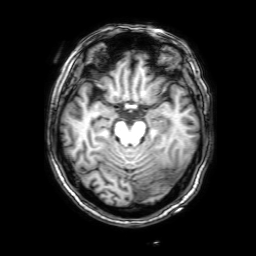
{"modality": {"type": "brain MRI", "field_strength": "3T"}, "series": "3D T1-weighted with SENSE", "study_topic": "ring-enhancing brain masses"}